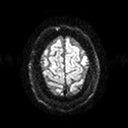
Summary:
3 Tesla brain MRI. Series: diffusion tensor imaging (medium iso). Study: ring-enhancing brain masses.